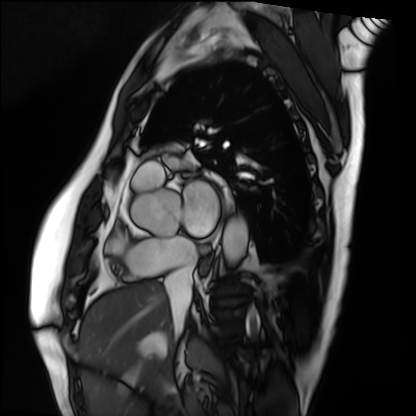
modality: cardiac MRI | subject group: patient.